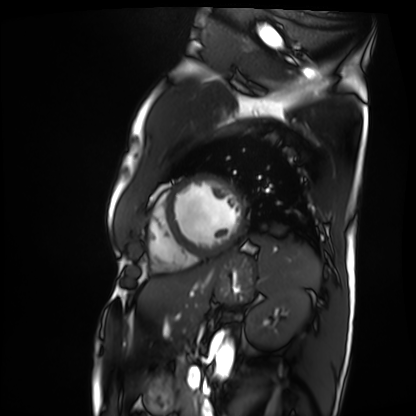
Case:
• modality: cardiac MRI
• subject group: patient